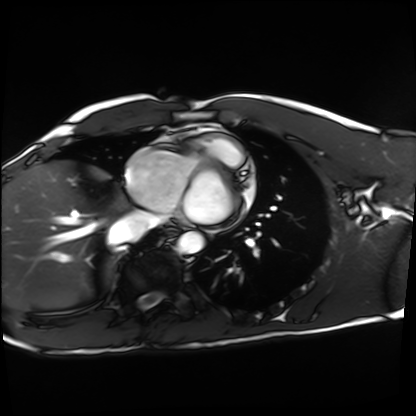
Q: What kind of scan is this?
A: Cardiac MRI.
Subject group: healthy volunteer.